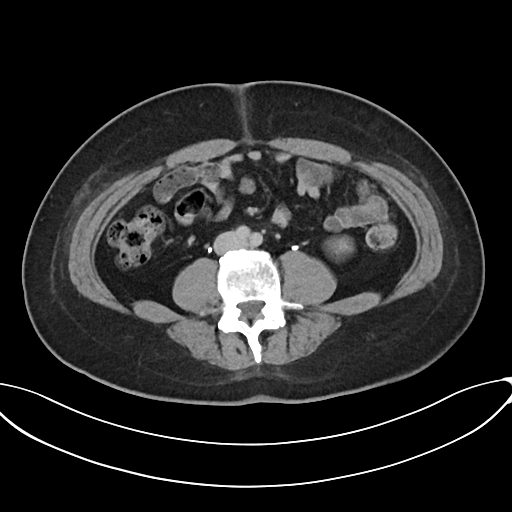
Multiphase abdominal CT, liver, delayed phase. Patient: male, age 44. History: prior chemotherapy.